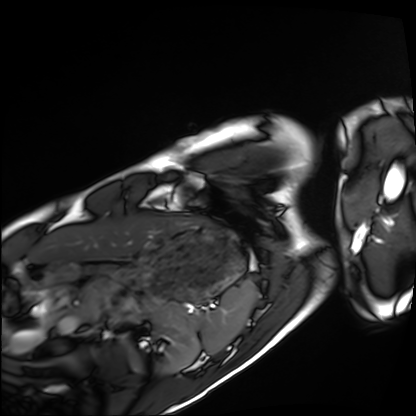
Cardiac MRI. Subject group: healthy volunteer.